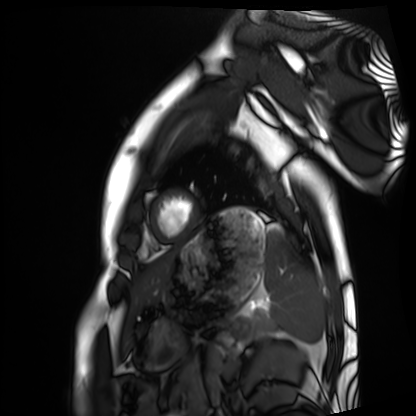
Cardiac MRI. Subject group: healthy volunteer.